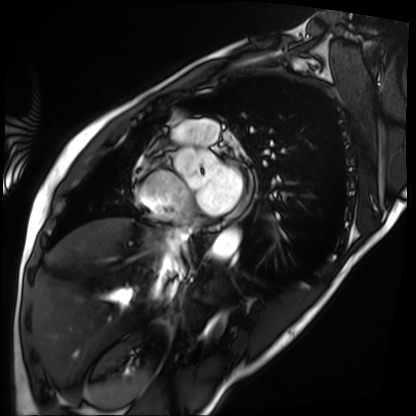
Cardiac MRI. Subject group: patient.